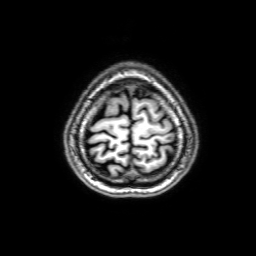
3 Tesla brain MRI.
Series: 3D T1-weighted with SENSE.
Study: ring-enhancing brain masses.